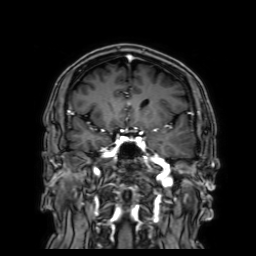
modality — 3 Tesla brain MRI
series — 3D T1-weighted with SENSE
study — ring-enhancing brain masses